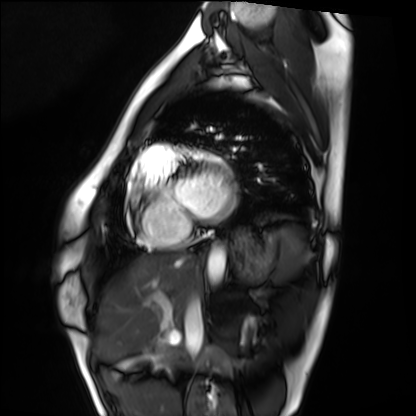
Summary: Cardiac MRI. Subject group: healthy volunteer.